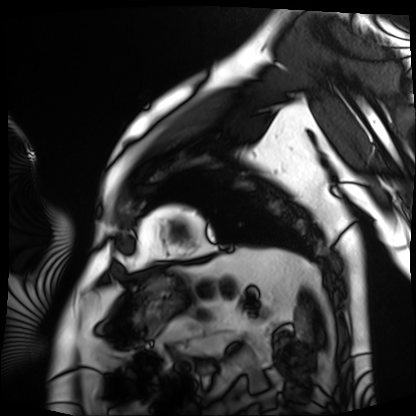
modality: cardiac MRI | subject group: patient.